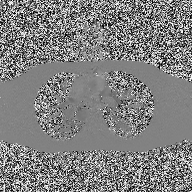
2D phase-contrast cine MRI of the ascending aorta, high-resolution GRAPPA acquisition.